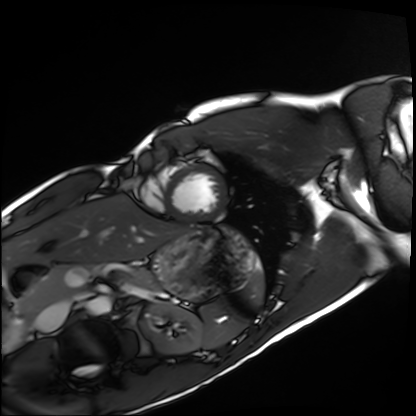
* modality: cardiac MRI
* subject group: healthy volunteer